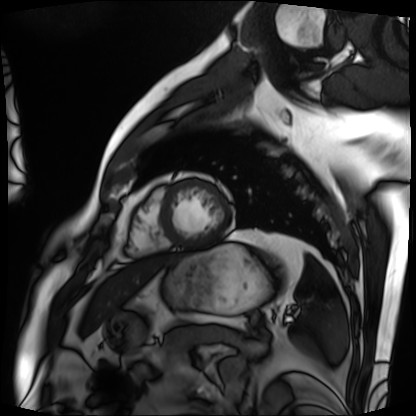
Cardiac MRI. Subject group: patient.